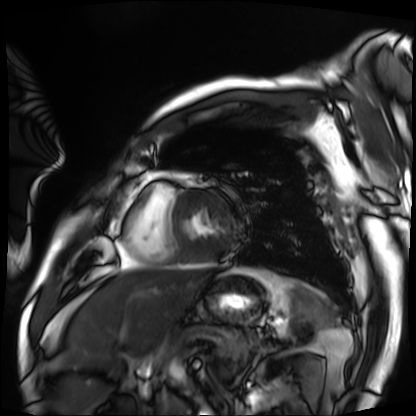
Summary:
Cardiac MRI. Subject group: patient.